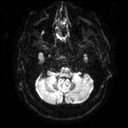
3 Tesla brain MRI. Series: diffusion tensor imaging (medium iso). Study: ring-enhancing brain masses.